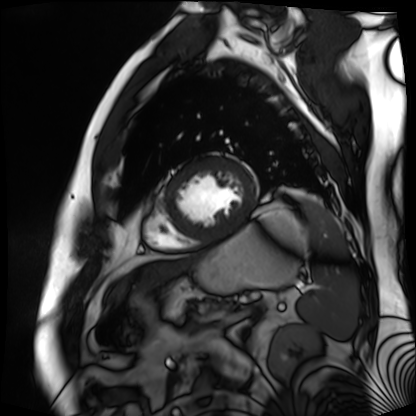
Summary:
Cardiac MR image of the myocardium. Subject cohort: cardiac patient.